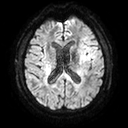
modality — 3 Tesla brain MRI; series — diffusion tensor imaging (medium iso); study — ring-enhancing brain masses.